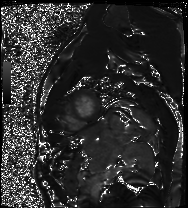
Summary: Cardiac MRI. Subject group: patient.